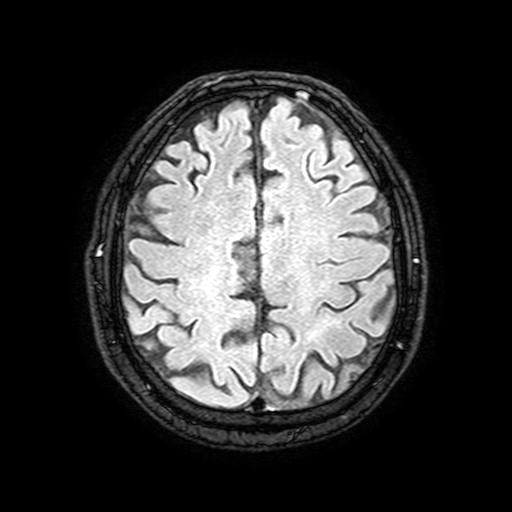
3 Tesla brain MRI.
Series: FLAIR with SPAIR, 3 mm.
Study: ring-enhancing brain masses.